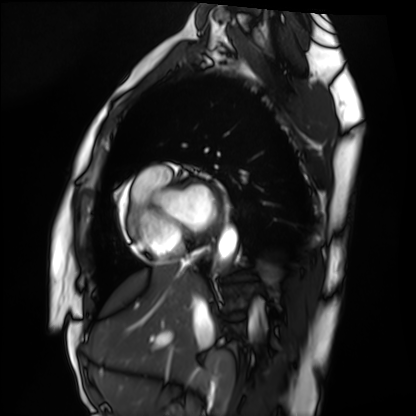
{
  "modality": "cardiac MRI",
  "cohort": "healthy volunteer"
}